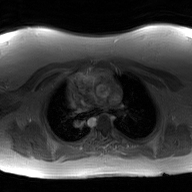
Case summary:
2D phase-contrast cine MRI of the ascending aorta, GAN super-resolution reconstruction.